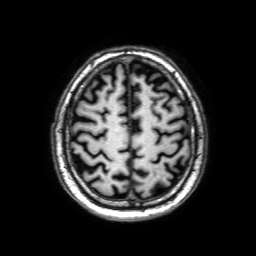
3 Tesla brain MRI. Study: ring-enhancing brain masses.